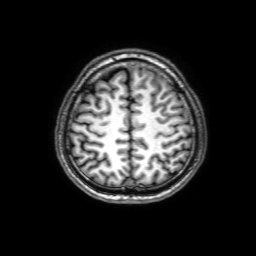
modality = 3 Tesla brain MRI | series = 3D T1-weighted with SENSE | study = ring-enhancing brain masses.